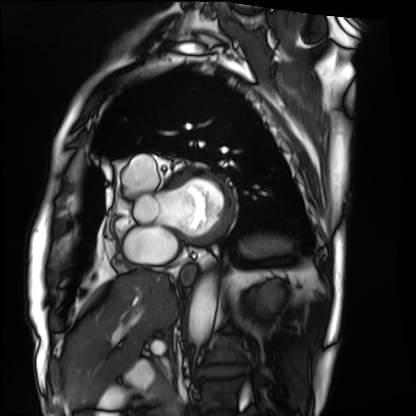
modality = cardiac MRI, subject group = patient.